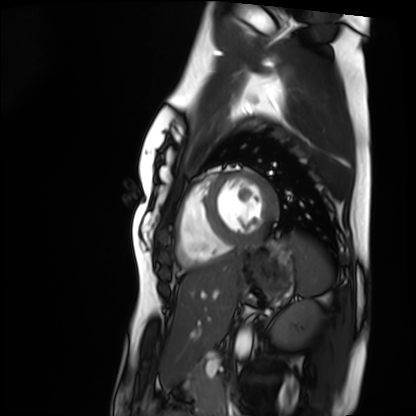
Q: What kind of scan is this?
A: Cardiac MRI.
Subject group: healthy volunteer.